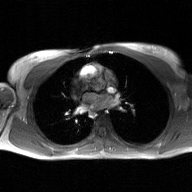
modality = 2D phase-contrast cine MRI of the ascending aorta, GAN super-resolution reconstruction